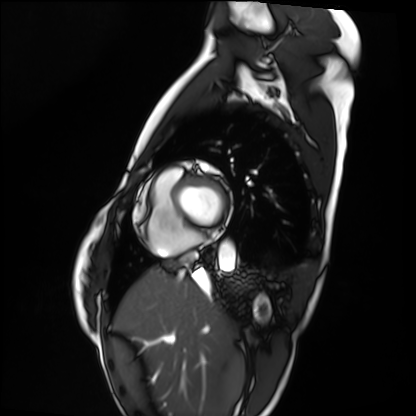
Cardiac MRI. Subject group: healthy volunteer.